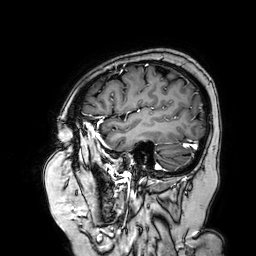
{"modality": {"type": "brain MRI", "field_strength": "3T"}, "series": "3D T1-weighted turbo field echo with SENSE", "study_topic": "ring-enhancing brain masses"}